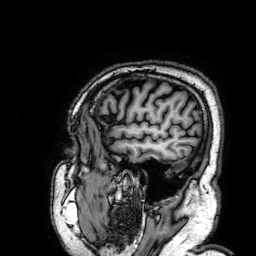
3 Tesla brain MRI. Series: 3D T1-weighted. Study: ring-enhancing brain masses.